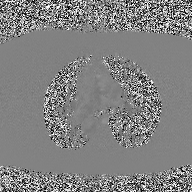
Clinical context:
2D phase-contrast cine MRI of the ascending aorta, high-resolution GRAPPA acquisition.